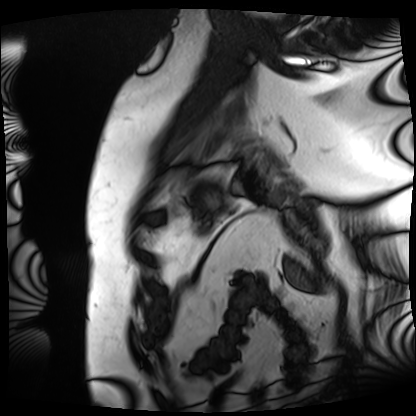
Summary:
Cardiac MRI. Subject group: patient.